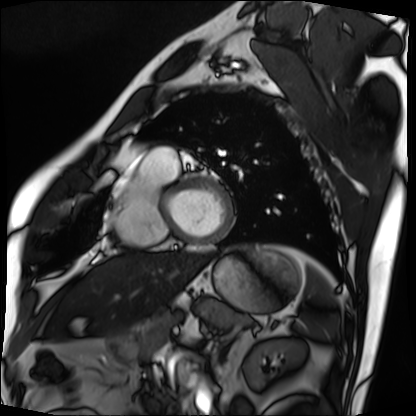
Summary:
Cardiac MRI. Subject group: patient.